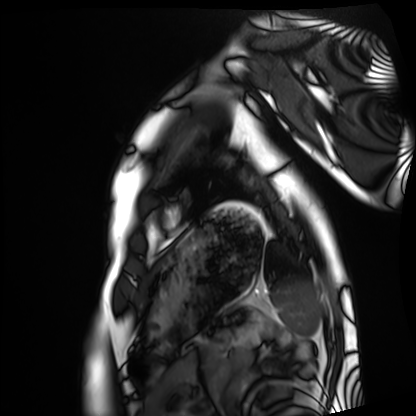
Cardiac MRI.
Subject group: healthy volunteer.